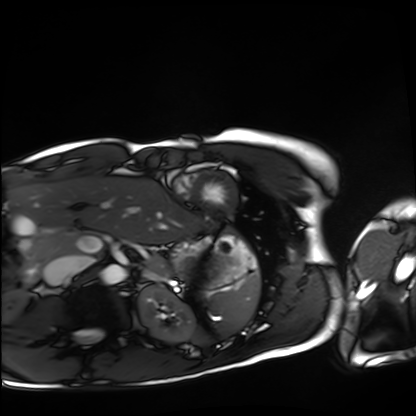
Cardiac MRI. Subject group: healthy volunteer.